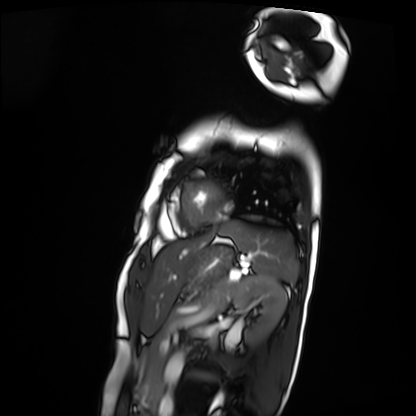
Cardiac MRI.
Subject group: patient.